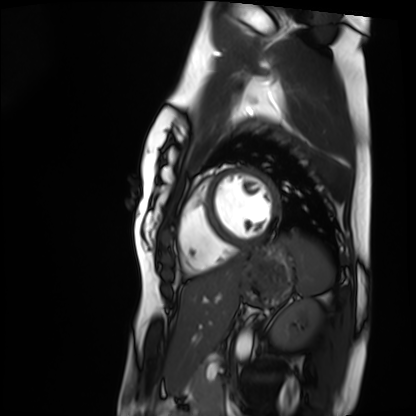
Q: What kind of scan is this?
A: Cardiac MRI.
Subject group: healthy volunteer.